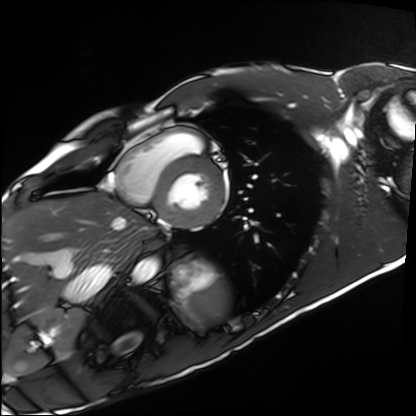
Cardiac MRI. Subject group: healthy volunteer.